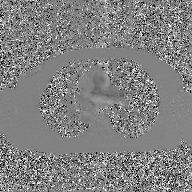
Case summary:
2D phase-contrast cine MRI of the ascending aorta, GAN super-resolution reconstruction.